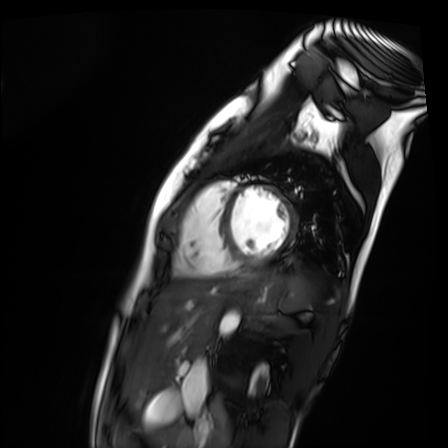
modality=cardiac MR image of the myocardium
subject cohort=healthy volunteer